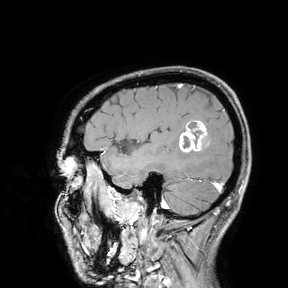
| field | value |
|---|---|
| modality | 3 Tesla brain MRI |
| study | ring-enhancing brain masses |